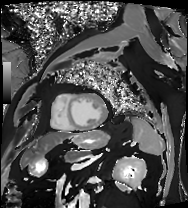
Q: What kind of scan is this?
A: Cardiac MRI.
Subject group: patient.